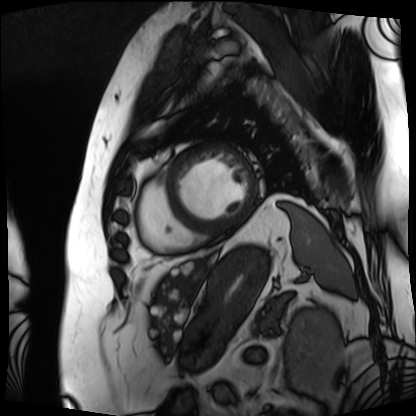
Q: What kind of scan is this?
A: Cardiac MRI.
Subject group: patient.